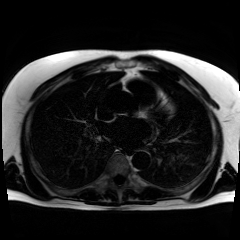
Chemical-shift-encoded cardiac MRI.